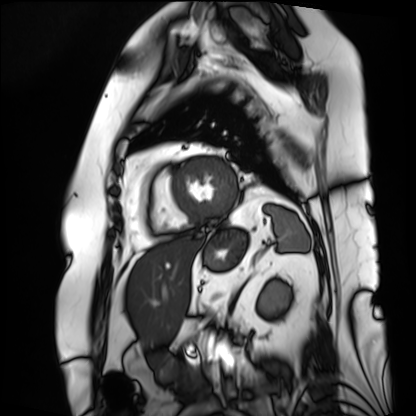
modality: cardiac MRI; subject group: patient.